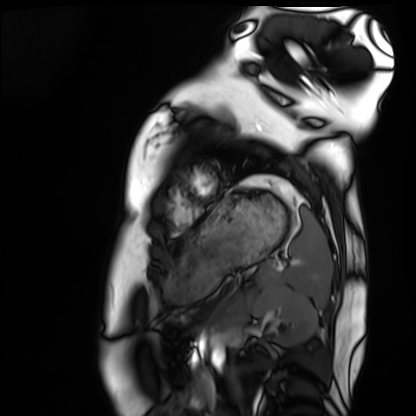
modality = cardiac MRI
subject group = healthy volunteer